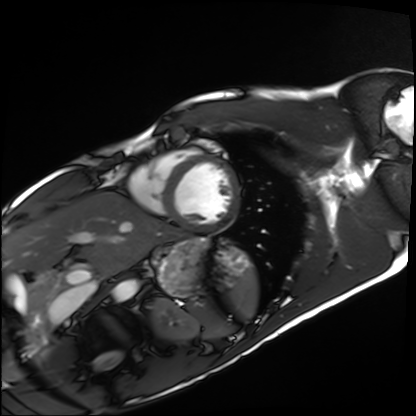
Cardiac MRI.
Subject group: healthy volunteer.